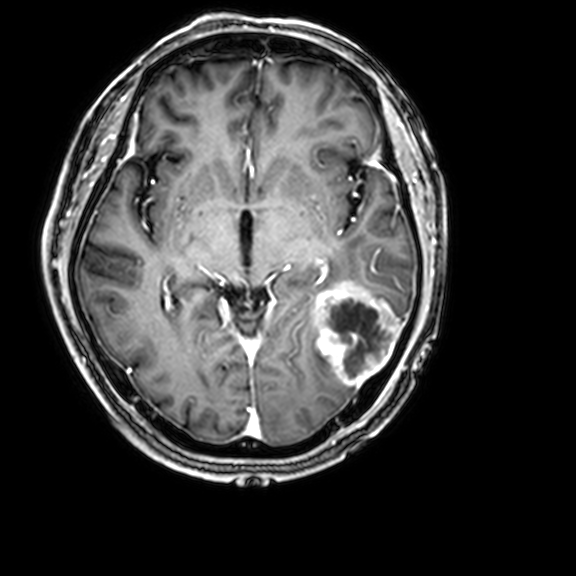
modality — 3 Tesla brain MRI; series — 3D T1-weighted with CLEAR; study — ring-enhancing brain masses.